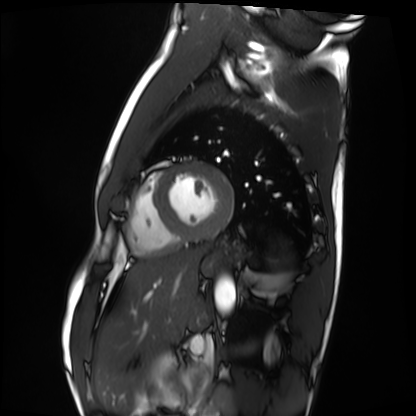
Cardiac MRI. Subject group: healthy volunteer.